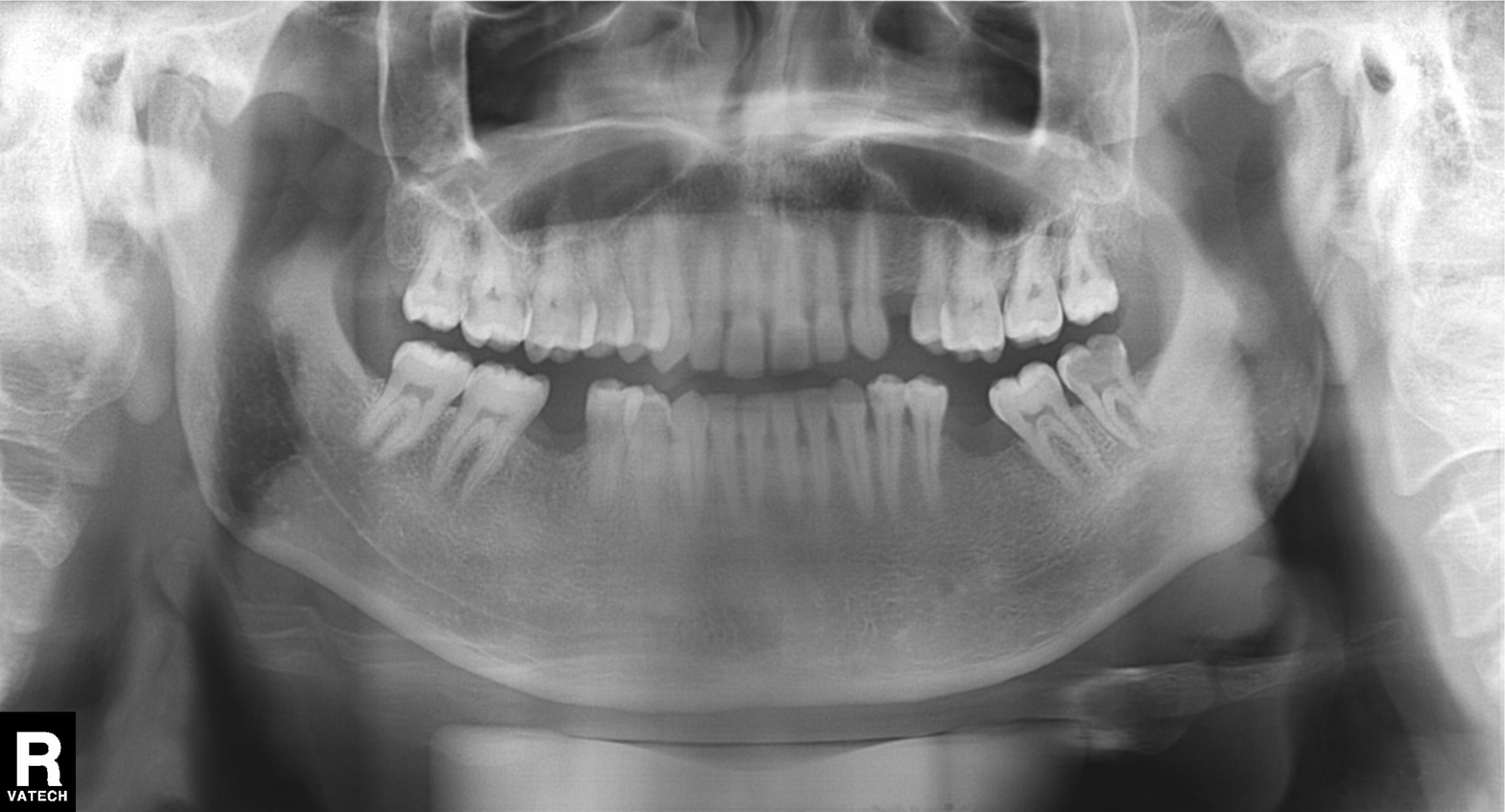
Panoramic dental radiograph (orthopantomogram). Finding: alveolar bone loss.